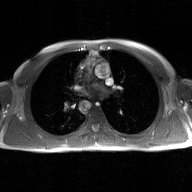
2D phase-contrast cine MRI of the ascending aorta, GAN super-resolution reconstruction.